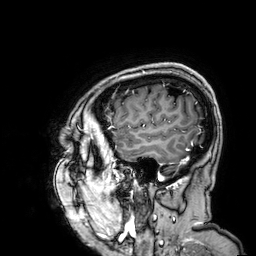
Q: What kind of scan is this?
A: 3 Tesla brain MRI.
Q: Series?
A: 3D T1-weighted.
Study: ring-enhancing brain masses.